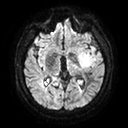
modality — 3 Tesla brain MRI
series — diffusion tensor imaging (medium iso)
study — ring-enhancing brain masses